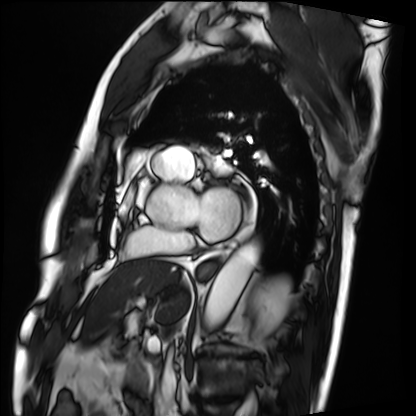
Cardiac MRI.
Subject group: patient.